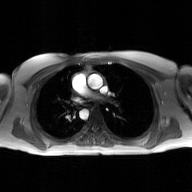
{
  "modality": {
    "type": "2D phase-contrast cine MRI",
    "region": "ascending aorta",
    "reconstruction": "GAN super-resolution reconstruction"
  }
}